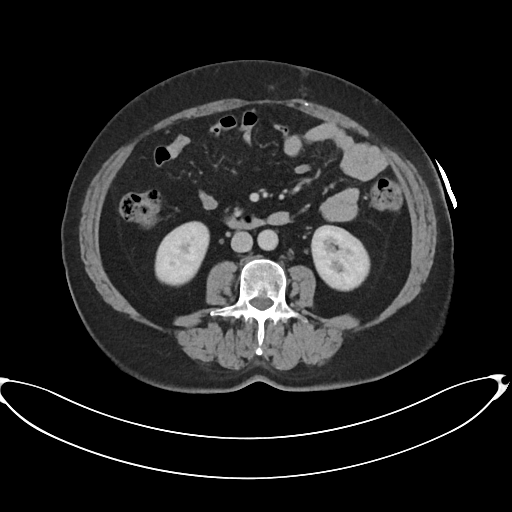
<case>
  <modality>
    <type>multiphase abdominal CT</type>
    <region>liver</region>
    <phase>portal venous</phase>
  </modality>
  <patient>
    <sex>female</sex>
    <age>60</age>
  </patient>
  <history>prior chemotherapy</history>
</case>